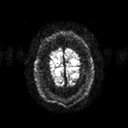
Case summary: 3 Tesla brain MRI. Series: diffusion tensor imaging (medium iso). Study: ring-enhancing brain masses.